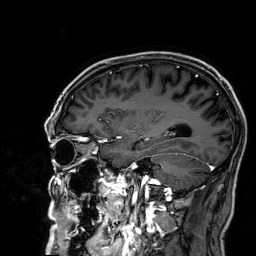
{"modality": {"type": "brain MRI", "field_strength": "3T"}, "series": "3D T1-weighted", "study_topic": "ring-enhancing brain masses"}